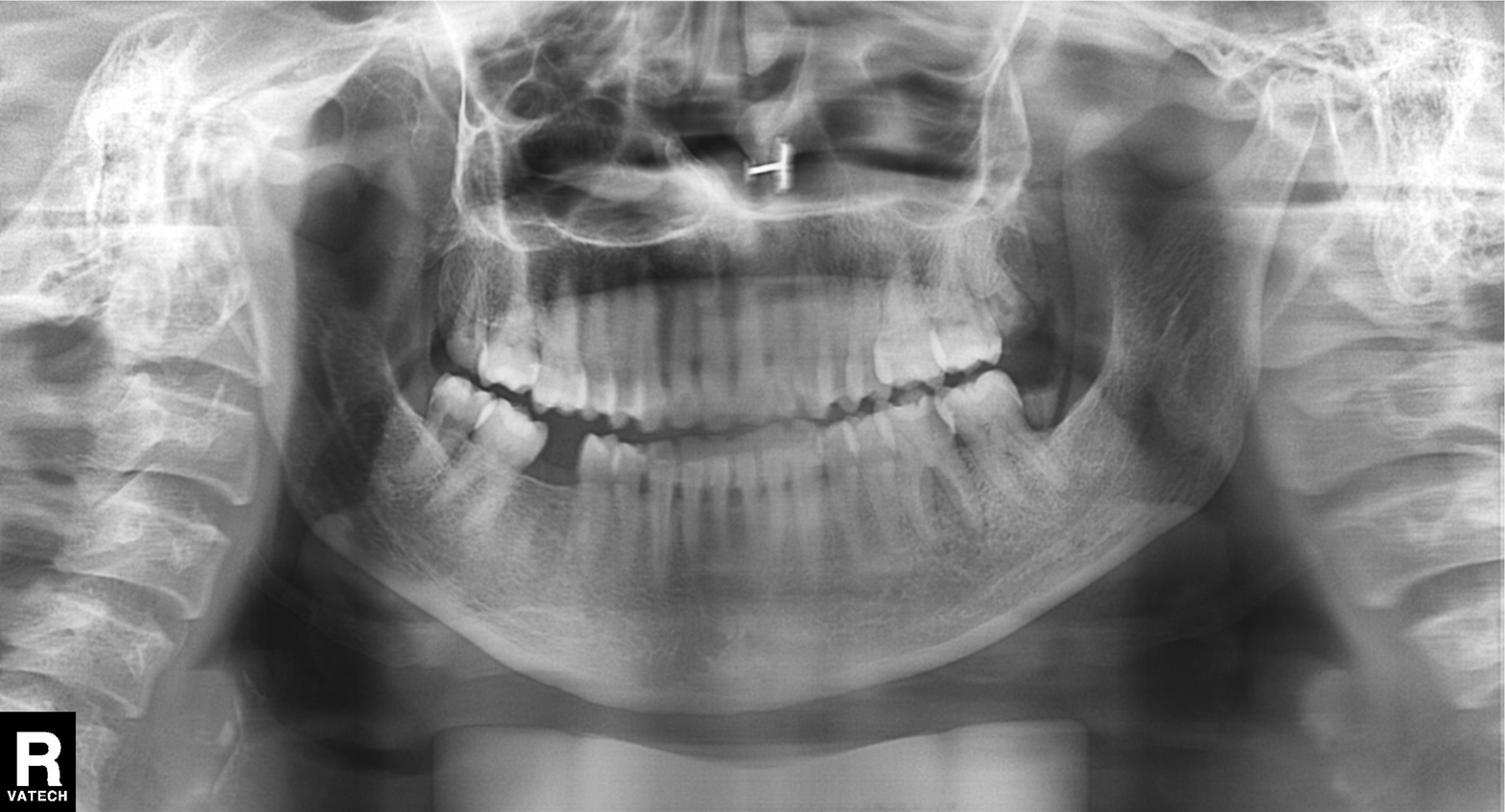
modality: panoramic dental radiograph (orthopantomogram)
finding: tooth impaction